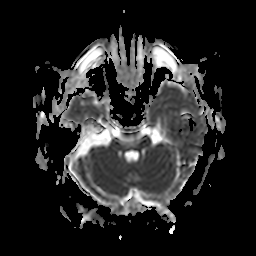
modality=3 Tesla brain MRI
series=apparent diffusion coefficient (ADC) map
study=ring-enhancing brain masses